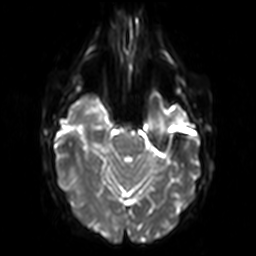
  modality:
    type: brain MRI
    field_strength: 3T
  series: diffusion-weighted imaging
  study_topic: ring-enhancing brain masses